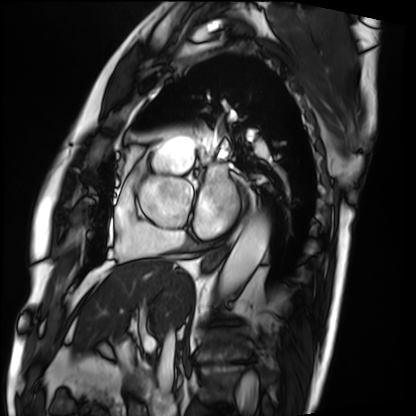
modality = cardiac MRI
subject group = patient